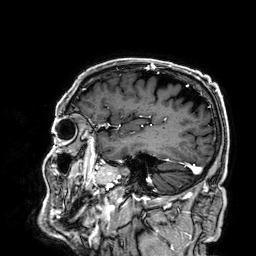
Summary:
3 Tesla brain MRI. Series: 3D T1-weighted. Study: ring-enhancing brain masses.